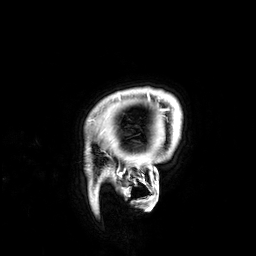
Case:
- modality: 3 Tesla brain MRI
- series: 3D T1-weighted
- study: ring-enhancing brain masses